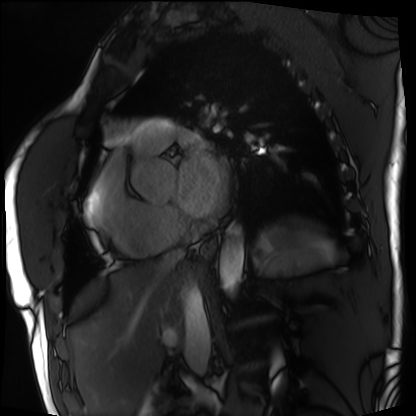
<record>
<modality>cardiac MRI</modality>
<cohort>patient</cohort>
</record>